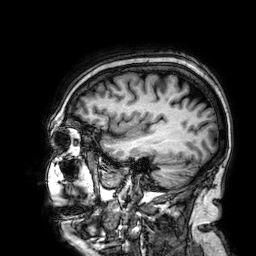
– modality — 3 Tesla brain MRI
– series — 3D T1-weighted
– study — ring-enhancing brain masses